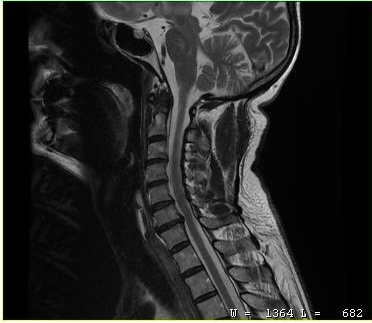
MRI of the cervical spine. Study: cervical spondylosis.